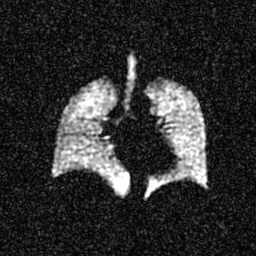
Summary: Hyperpolarized 129Xe ventilation MRI of the lungs.